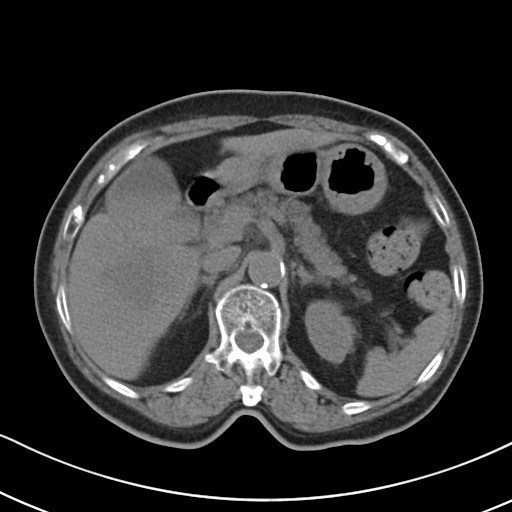
Multiphase abdominal CT, liver, non-contrast phase.
Patient: female, age 72.